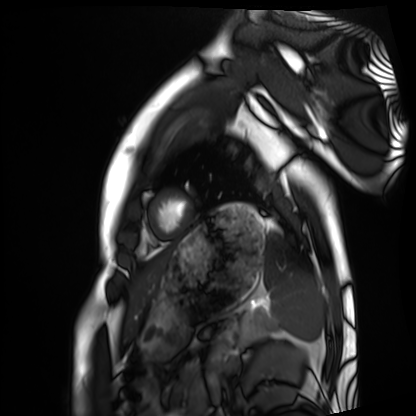
• modality · cardiac MRI
• subject group · healthy volunteer